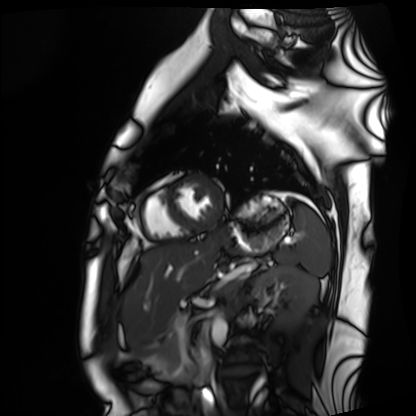
<case>
  <modality>cardiac MRI</modality>
  <cohort>healthy volunteer</cohort>
</case>